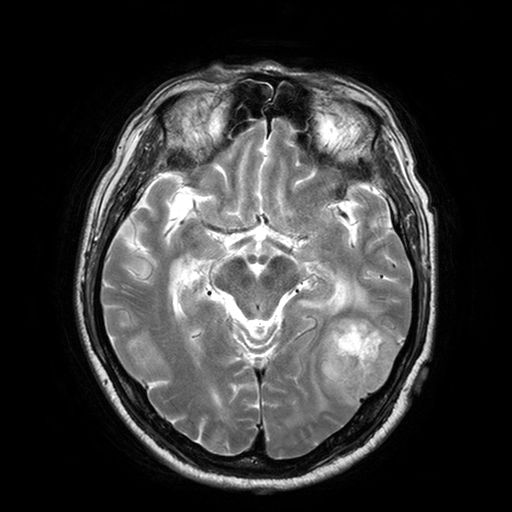
Case:
- modality — 3 Tesla brain MRI
- series — T2-weighted turbo spin echo with SENSE
- study — ring-enhancing brain masses